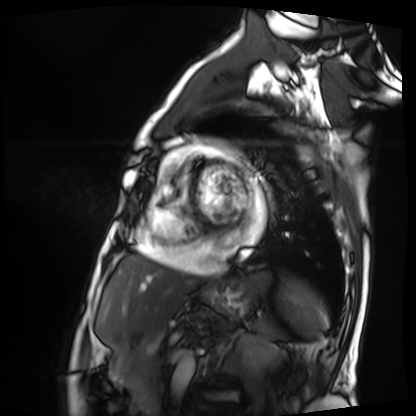
Cardiac MRI. Subject group: patient.